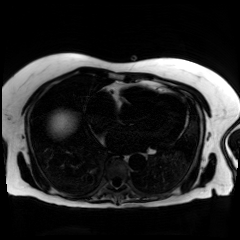
| field | value |
|---|---|
| modality | chemical-shift-encoded cardiac MRI |